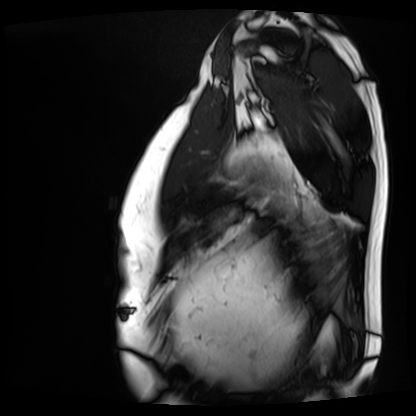
modality=cardiac MRI
subject group=patient